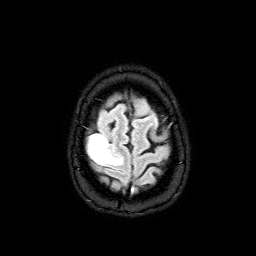
| field | value |
|---|---|
| modality | 3 Tesla brain MRI |
| series | FLAIR with SPAIR |
| study | ring-enhancing brain masses |